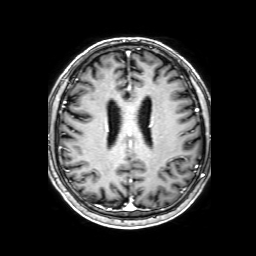
modality=3 Tesla brain MRI | series=3D T1-weighted with SENSE | study=ring-enhancing brain masses.